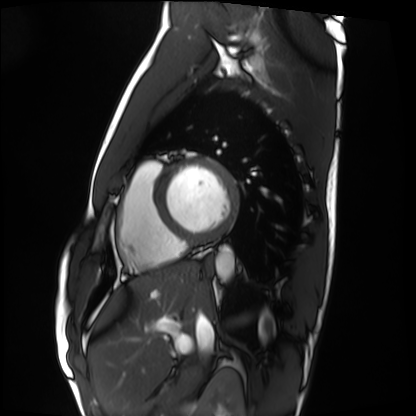
Clinical context:
Cardiac MRI. Subject group: healthy volunteer.